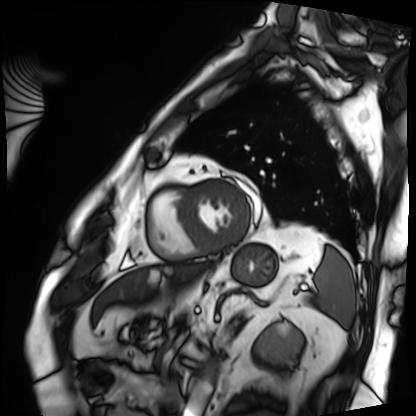
modality: cardiac MRI
cohort: patient